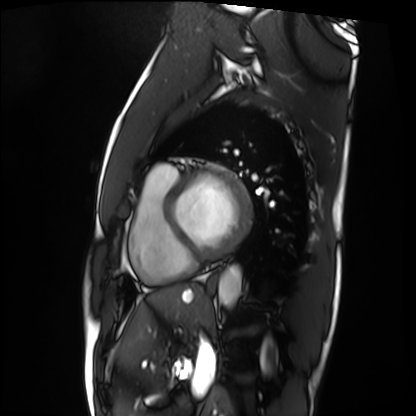
Case:
– modality · cardiac MRI
– subject group · patient